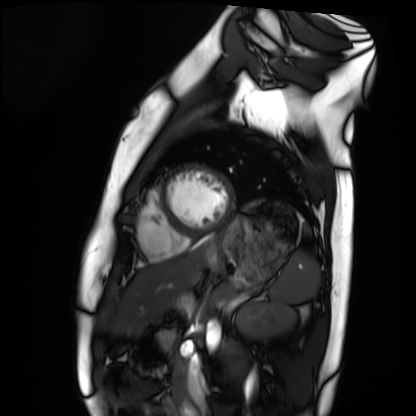
Cardiac MRI.
Subject group: healthy volunteer.